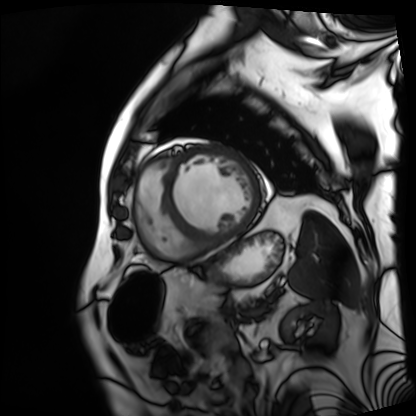
modality: cardiac MRI
subject group: patient